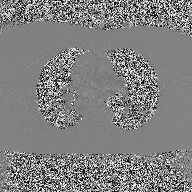
{"modality": {"type": "2D phase-contrast cine MRI", "region": "ascending aorta", "reconstruction": "high-resolution GRAPPA acquisition"}}